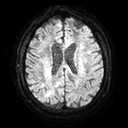
Summary: 3 Tesla brain MRI. Series: diffusion tensor imaging (medium iso). Study: ring-enhancing brain masses.